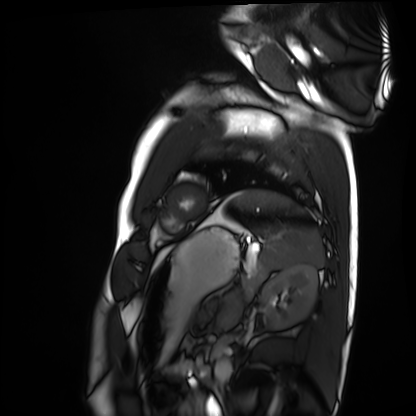
<case>
<modality>cardiac MRI</modality>
<cohort>healthy volunteer</cohort>
</case>